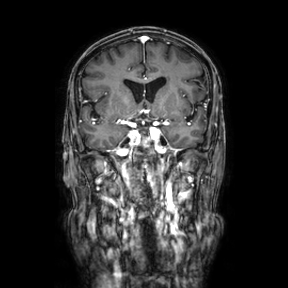
| field | value |
|---|---|
| modality | 3 Tesla brain MRI |
| study | ring-enhancing brain masses |